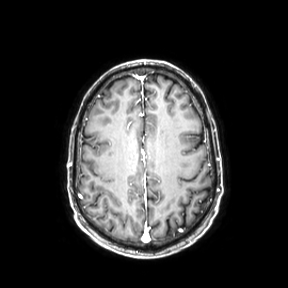
| field | value |
|---|---|
| modality | 3 Tesla brain MRI |
| series | axial |
| study | ring-enhancing brain masses |